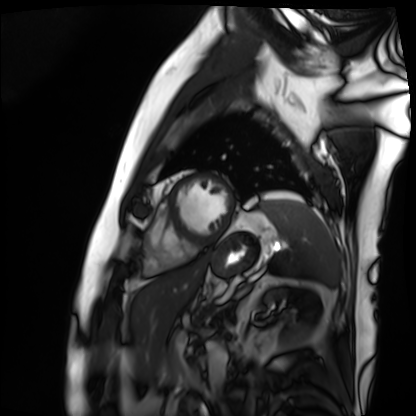
– modality — cardiac MRI
– subject group — patient